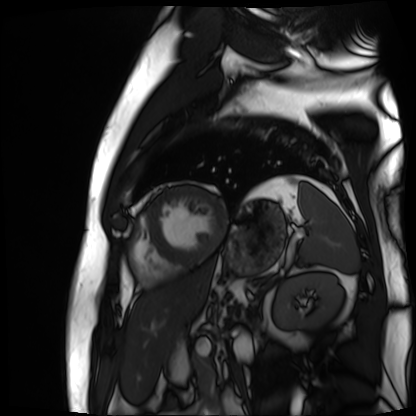
modality: cardiac MR image of the myocardium
subject cohort: cardiac patient